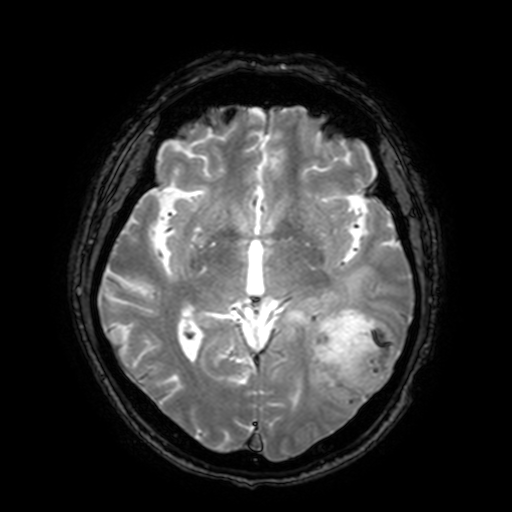
3 Tesla brain MRI.
Series: T2-weighted fast field echo with SENSE.
Study: ring-enhancing brain masses.